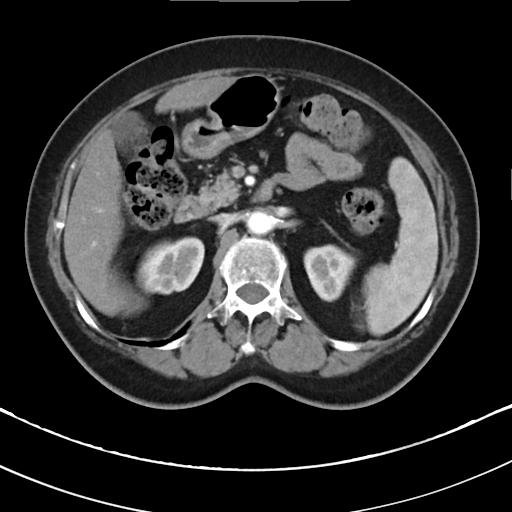
Q: What kind of scan is this?
A: Multiphase abdominal CT, liver, arterial phase.
Q: Patient?
A: Female, age 78.